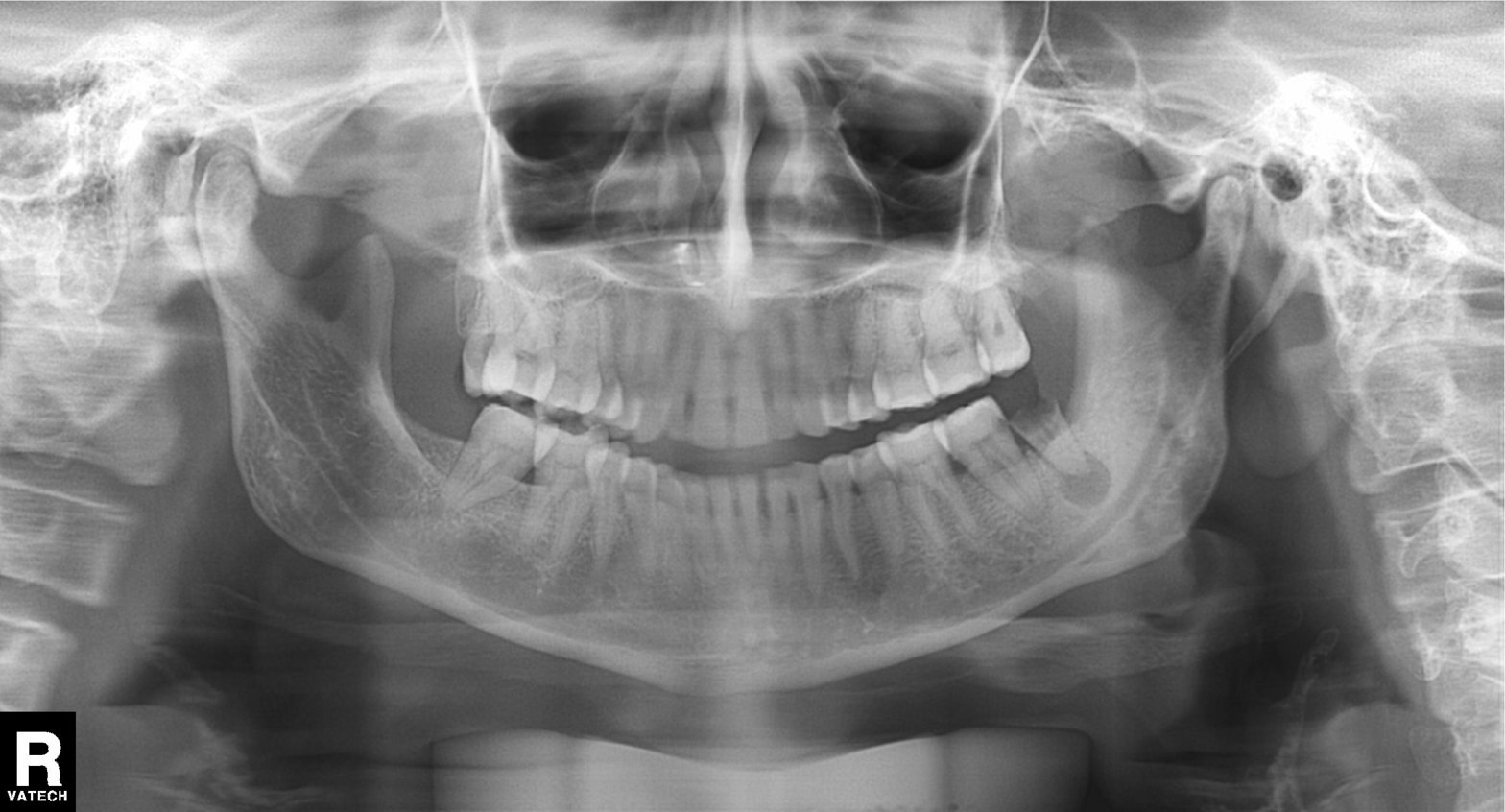
Panoramic dental radiograph (orthopantomogram).
Finding: tooth impaction.